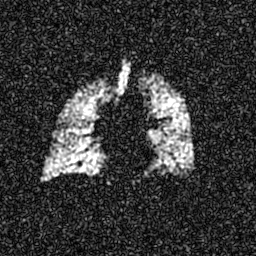
– modality — hyperpolarized 129Xe ventilation MRI of the lungs
– SNR level — 7 of 8 (the deposit holds this scan as its native image and as seven SNR-degraded versions)